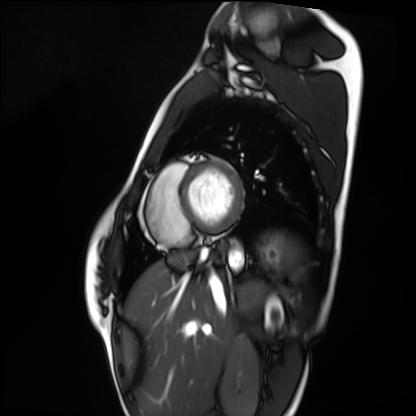
modality: cardiac MRI, subject group: healthy volunteer.